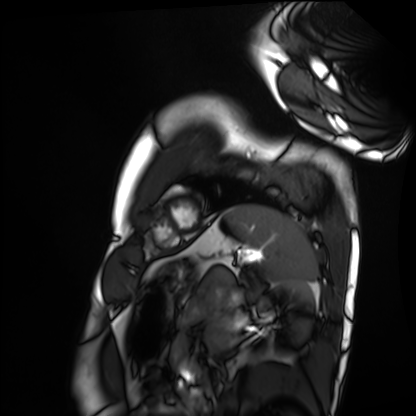
Q: What kind of scan is this?
A: Cardiac MRI.
Subject group: healthy volunteer.